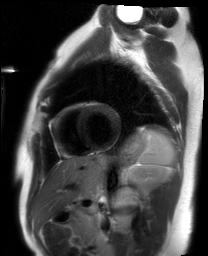
Case:
– modality: cardiac MRI
– subject group: healthy volunteer